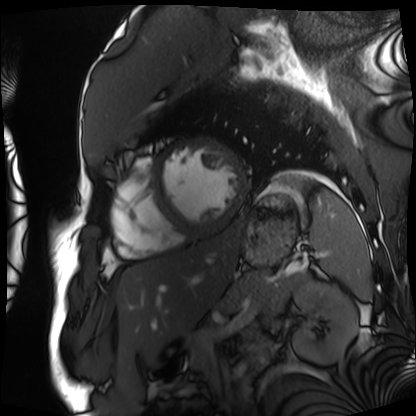
Cardiac MRI. Subject group: patient.